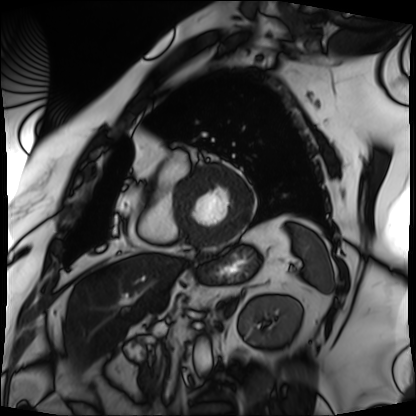
Cardiac MRI. Subject group: patient.